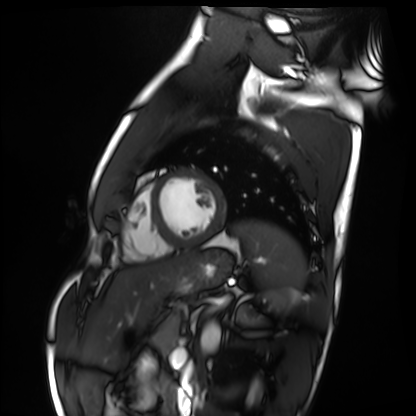
Q: What kind of scan is this?
A: Cardiac MRI.
Subject group: healthy volunteer.